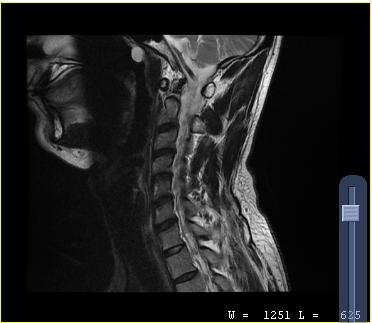
modality = MRI of the cervical spine; study = cervical spondylosis.